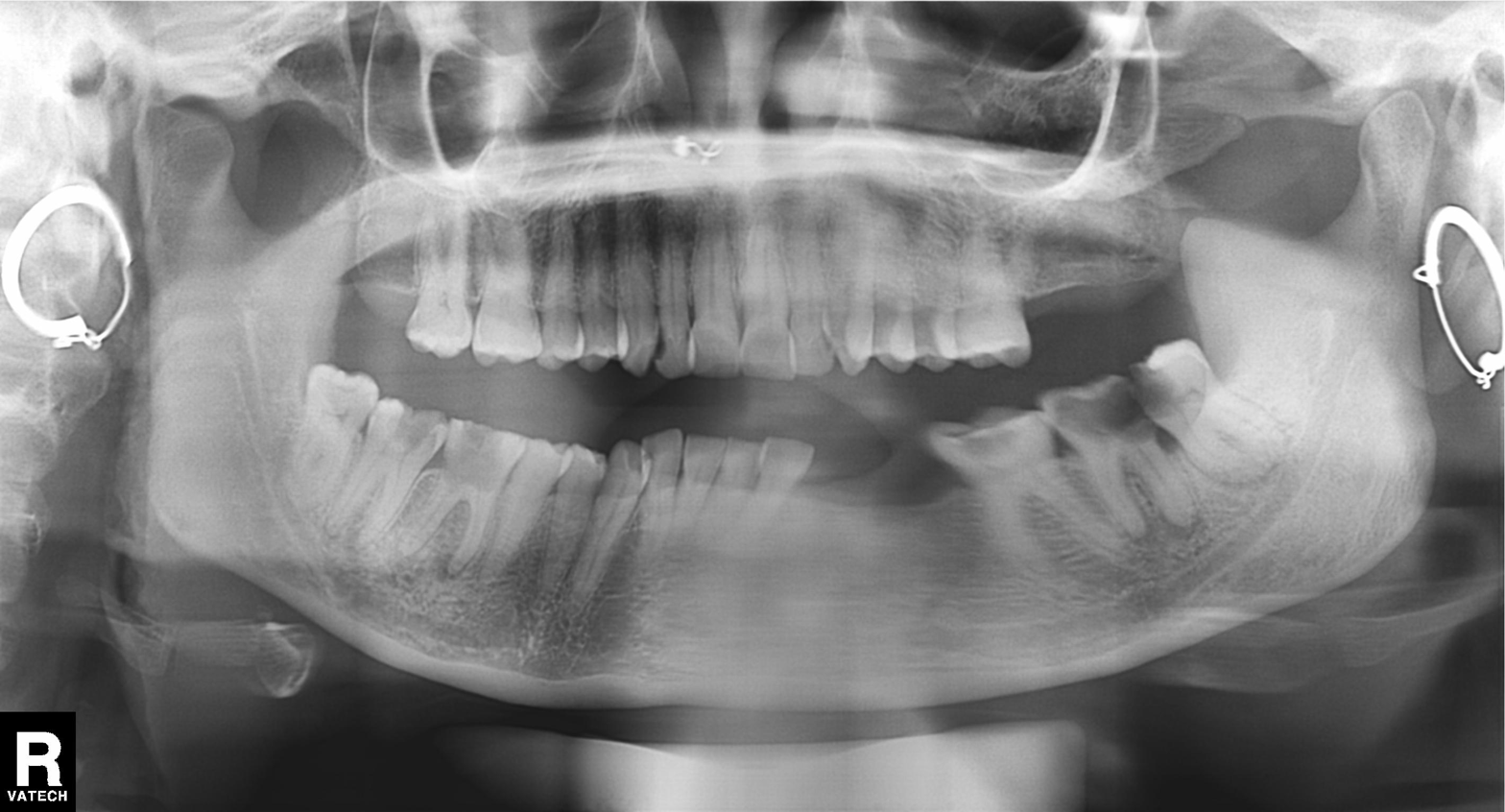
modality = panoramic dental radiograph (orthopantomogram) | finding = alveolar bone loss.